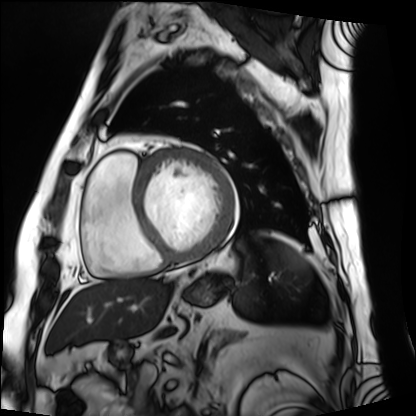
Summary: Cardiac MRI. Subject group: patient.